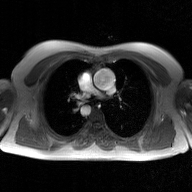
Summary:
2D phase-contrast cine MRI of the ascending aorta, GAN super-resolution reconstruction.